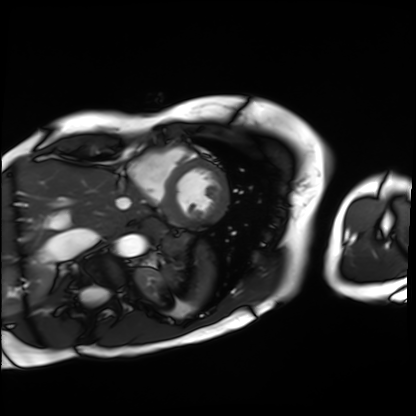
* modality · cardiac MRI
* subject group · patient